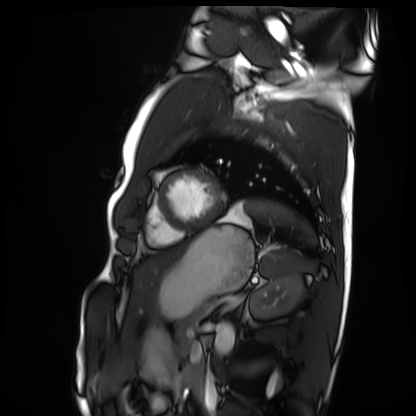
Q: What kind of scan is this?
A: Cardiac MRI.
Subject group: healthy volunteer.